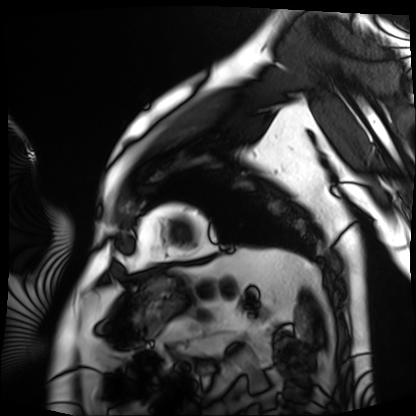
Case:
- modality: cardiac MRI
- subject group: patient